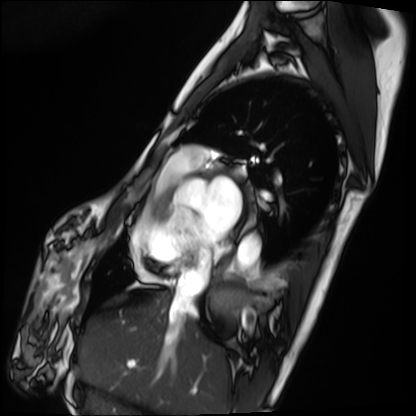
Cardiac MRI. Subject group: patient.